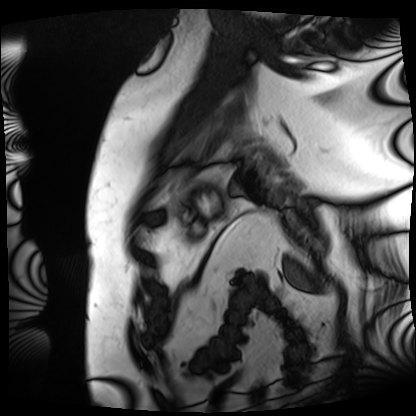
Cardiac MRI.
Subject group: patient.